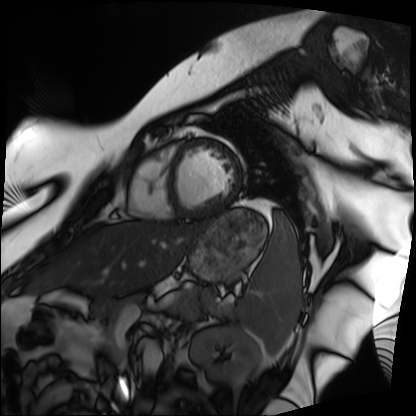
Cardiac MRI. Subject group: patient.